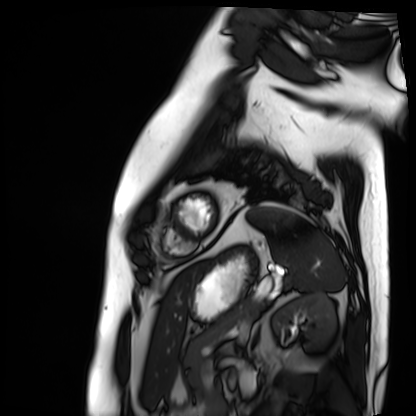
Cardiac MRI. Subject group: patient.